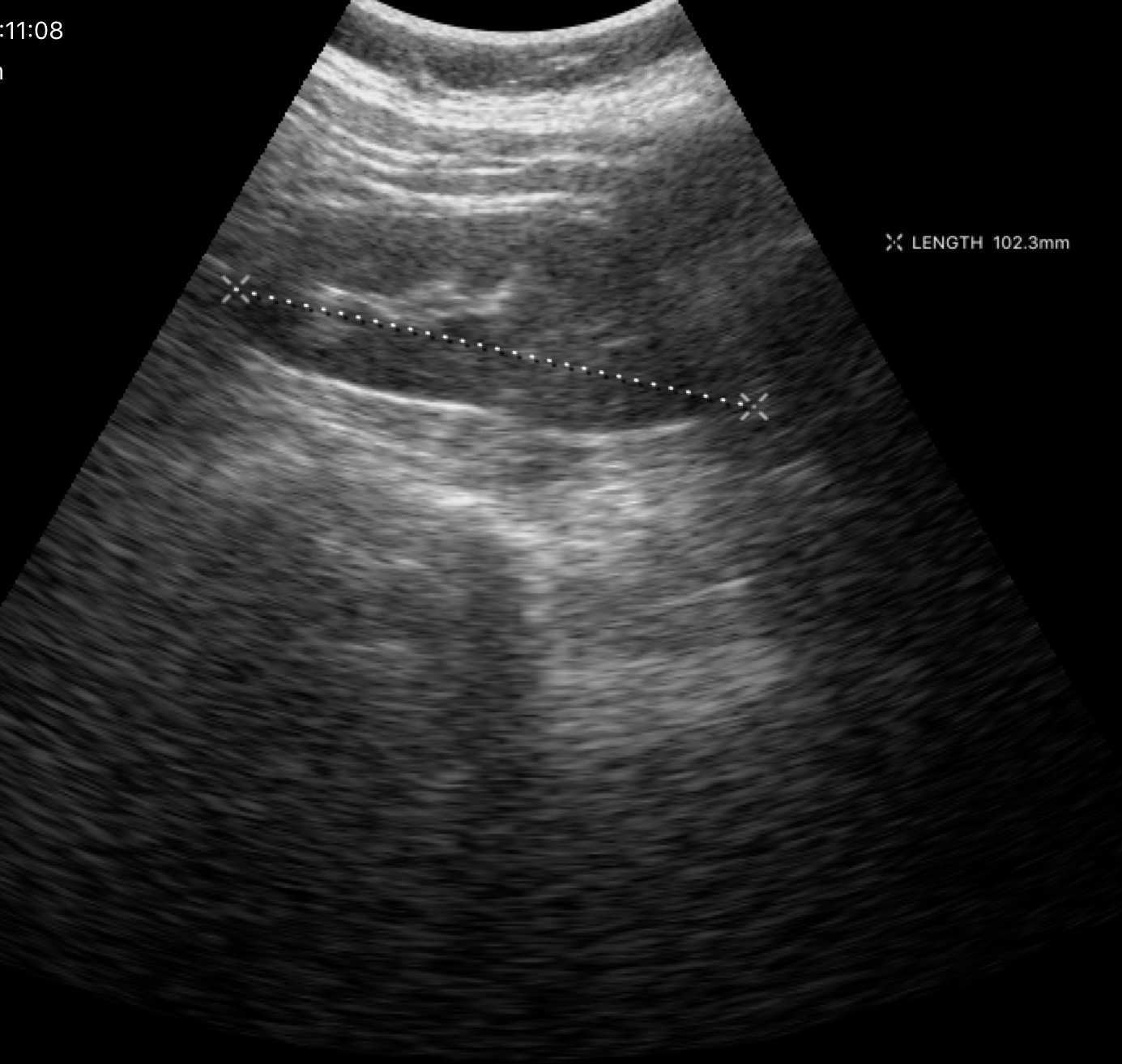
Summary:
Genitourinary ultrasound.